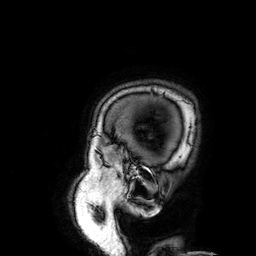
3 Tesla brain MRI.
Series: 3D T1-weighted.
Study: ring-enhancing brain masses.